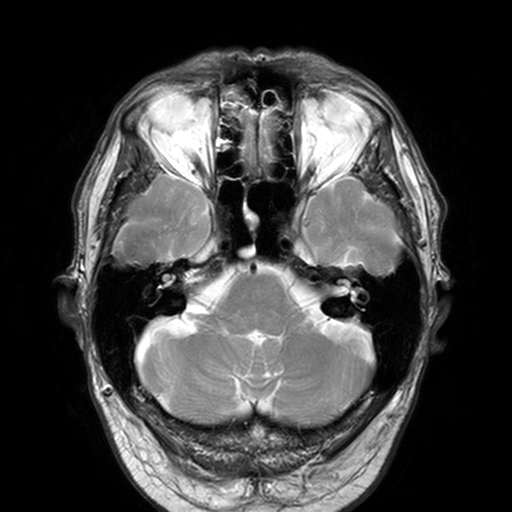
<study>
  <modality>
    <type>brain MRI</type>
    <field_strength>3T</field_strength>
  </modality>
  <series>T2-weighted turbo spin echo, 3 mm</series>
  <study_topic>ring-enhancing brain masses</study_topic>
</study>